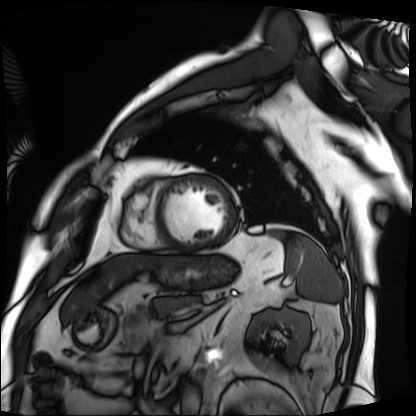
Cardiac MRI.
Subject group: patient.